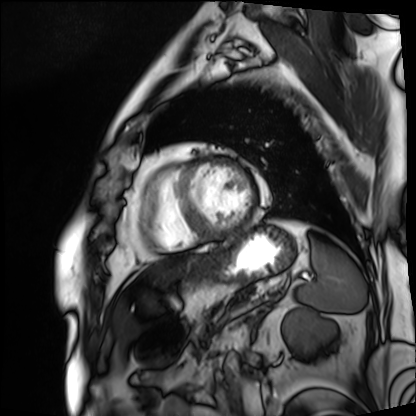
<scan>
<modality>cardiac MRI</modality>
<cohort>patient</cohort>
</scan>